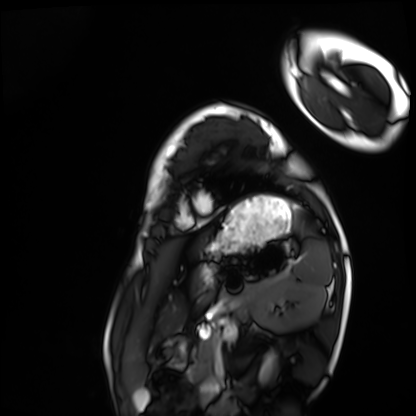
– modality · cardiac MRI
– subject group · healthy volunteer